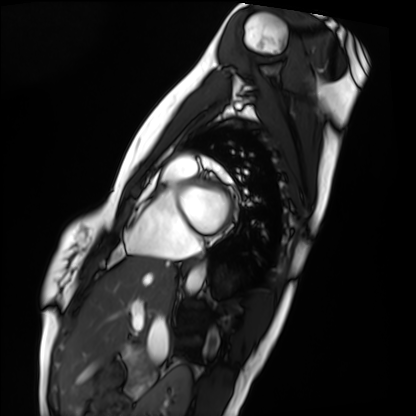
<scan>
  <modality>cardiac MRI</modality>
  <cohort>healthy volunteer</cohort>
</scan>